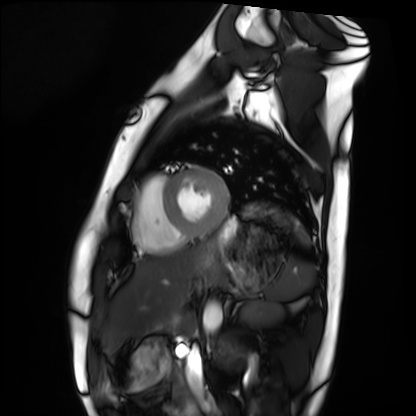
Q: What kind of scan is this?
A: Cardiac MRI.
Subject group: healthy volunteer.